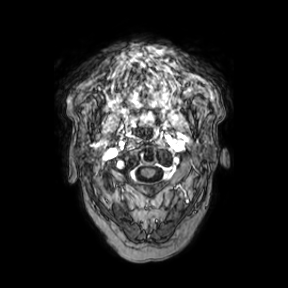
3 Tesla brain MRI. Series: axial. Study: ring-enhancing brain masses.